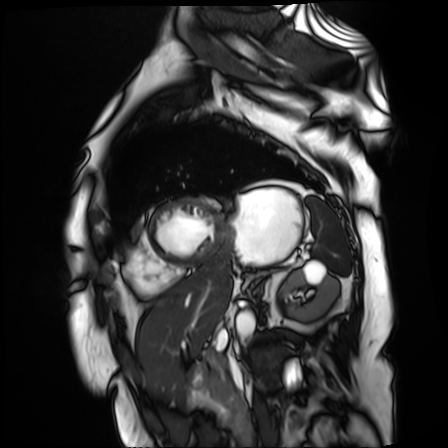
Cardiac MR image of the myocardium. Subject cohort: cardiac patient.